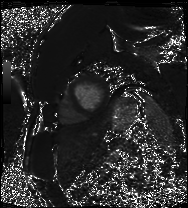
Cardiac MRI. Subject group: patient.